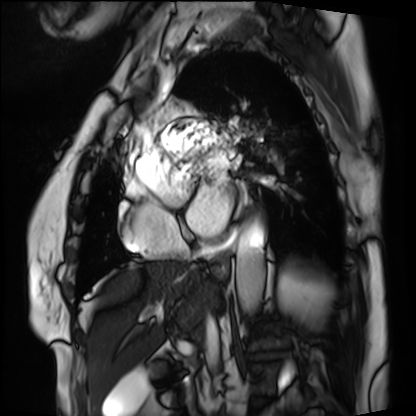
Clinical context: Cardiac MRI. Subject group: patient.